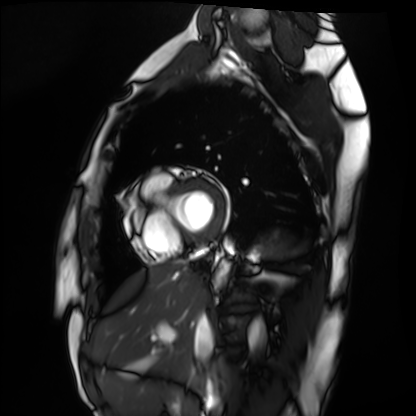
Clinical context:
Cardiac MRI. Subject group: healthy volunteer.